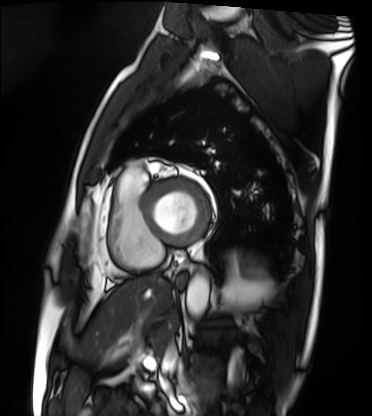
Cardiac MRI.
Subject group: patient.